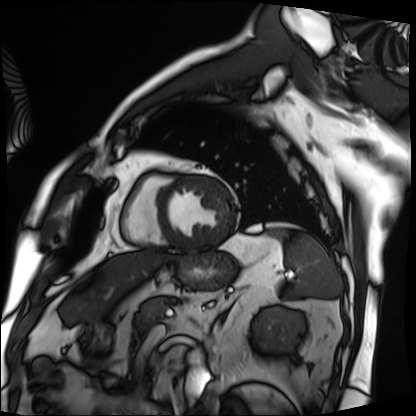
Cardiac MRI. Subject group: patient.